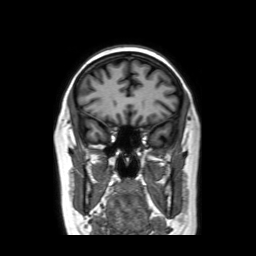
3 Tesla brain MRI.
Series: coronal without contrast.
Study: ring-enhancing brain masses.